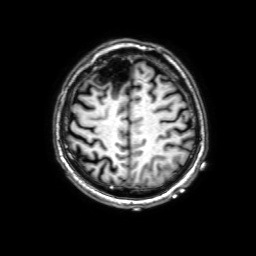
  modality:
    type: brain MRI
    field_strength: 3T
  series: 3D T1-weighted with SENSE
  study_topic: ring-enhancing brain masses